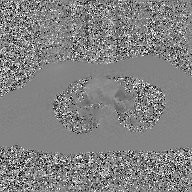
modality = 2D phase-contrast cine MRI of the ascending aorta, GAN super-resolution reconstruction